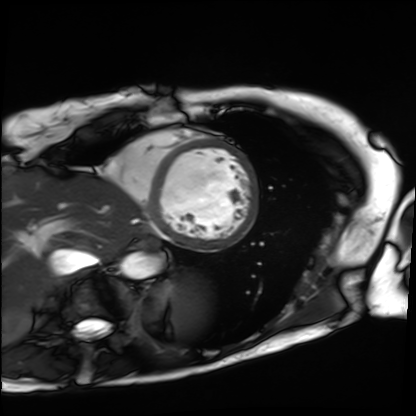
<scan>
  <modality>cardiac MRI</modality>
  <cohort>patient</cohort>
</scan>